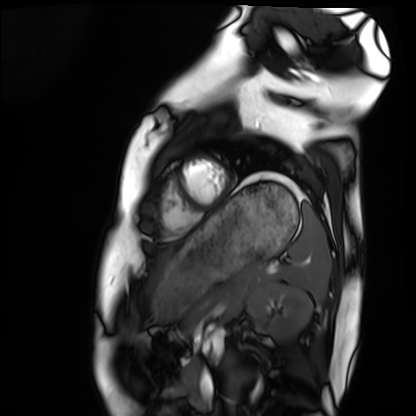
modality: cardiac MRI; subject group: healthy volunteer.